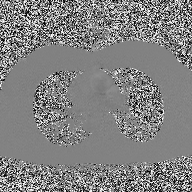
Q: What kind of scan is this?
A: 2D phase-contrast cine MRI of the ascending aorta.